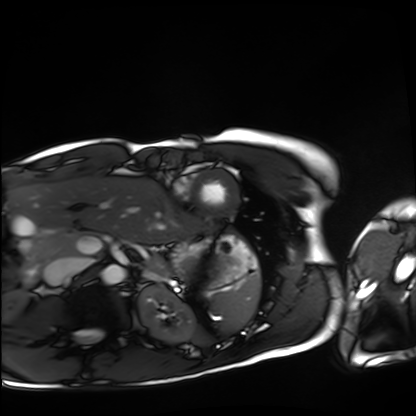
Q: What kind of scan is this?
A: Cardiac MRI.
Subject group: healthy volunteer.